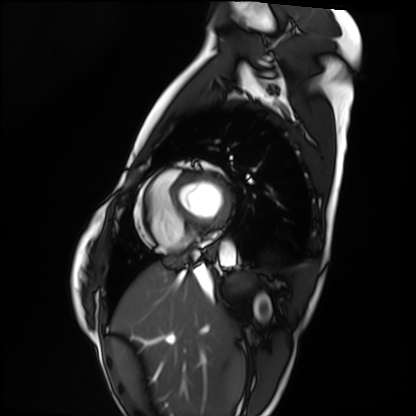
Summary: Cardiac MRI. Subject group: healthy volunteer.